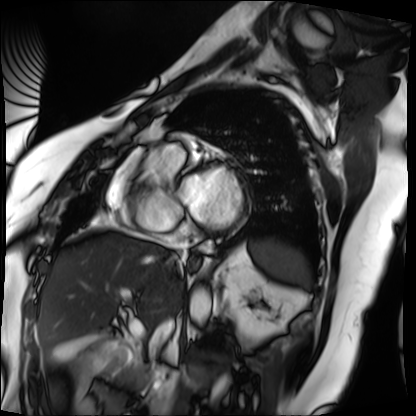
modality: cardiac MRI
subject group: patient